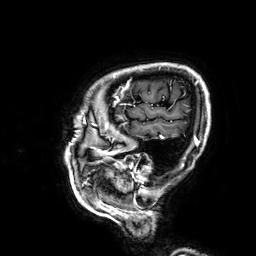
Q: What kind of scan is this?
A: 3 Tesla brain MRI.
Study: ring-enhancing brain masses.